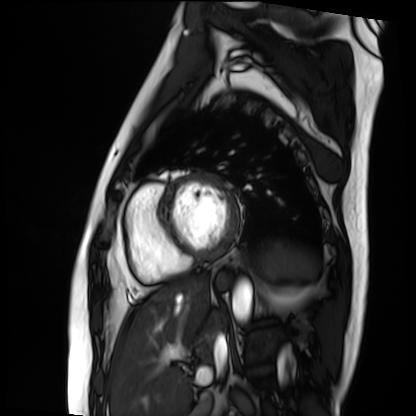
• modality: cardiac MRI
• subject group: patient